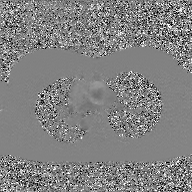
– modality: 2D phase-contrast cine MRI of the ascending aorta, GAN super-resolution reconstruction